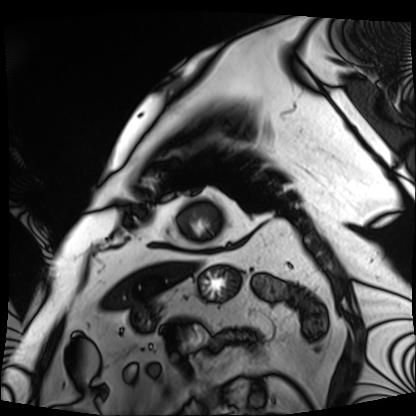
Cardiac MRI.
Subject group: patient.